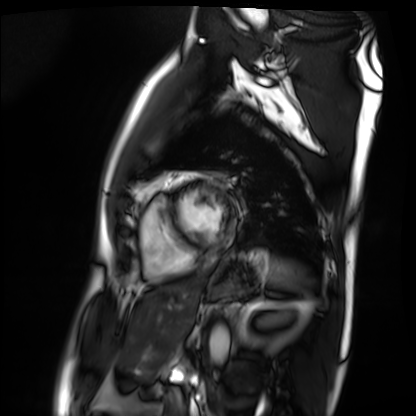
Cardiac MRI.
Subject group: patient.